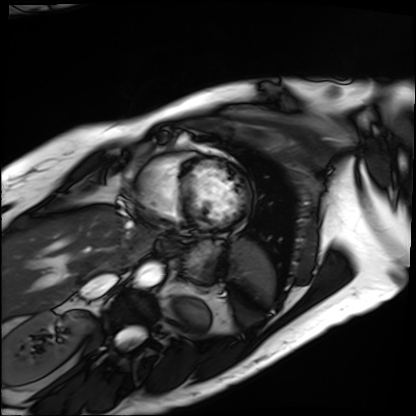
Cardiac MRI. Subject group: patient.